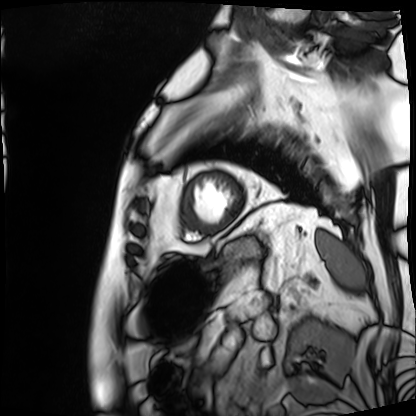
Case summary:
Cardiac MRI. Subject group: patient.